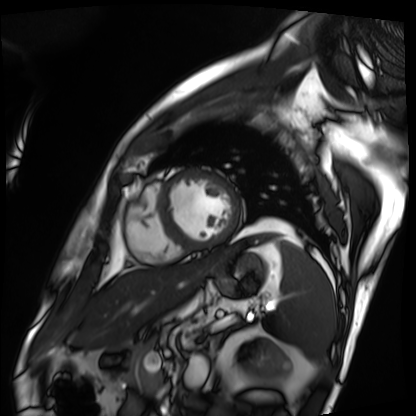
| field | value |
|---|---|
| modality | cardiac MRI |
| subject group | patient |